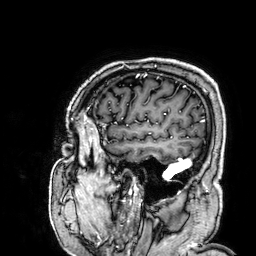
Q: What kind of scan is this?
A: 3 Tesla brain MRI.
Q: Series?
A: 3D T1-weighted.
Study: ring-enhancing brain masses.